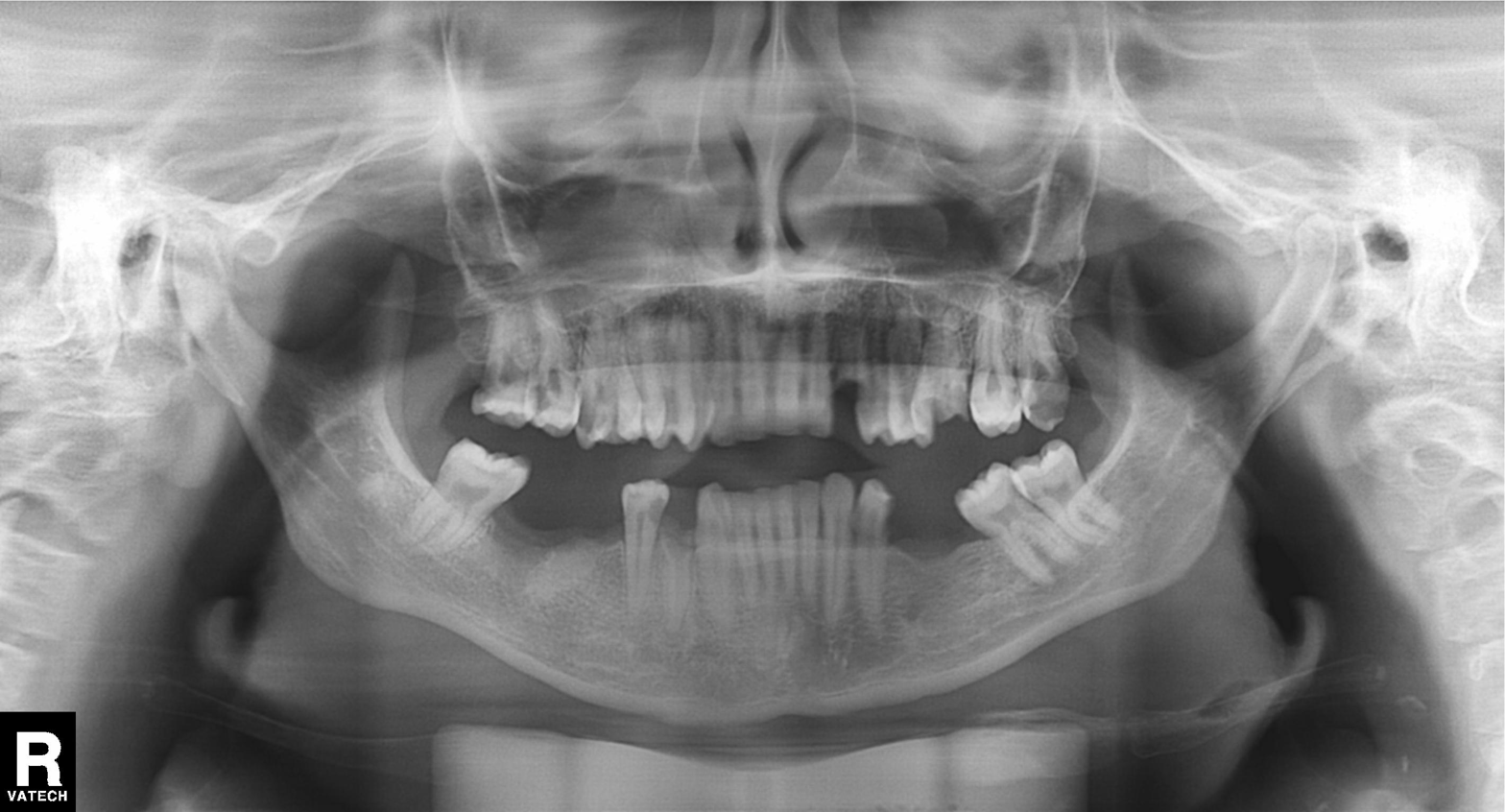
Panoramic dental radiograph (orthopantomogram). Finding: tooth impaction.